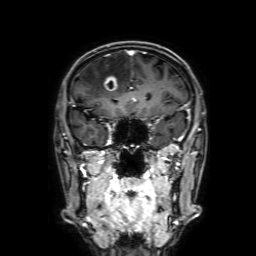
{
  "modality": {
    "type": "brain MRI",
    "field_strength": "3T"
  },
  "series": "3D T1-weighted with SENSE",
  "study_topic": "ring-enhancing brain masses"
}